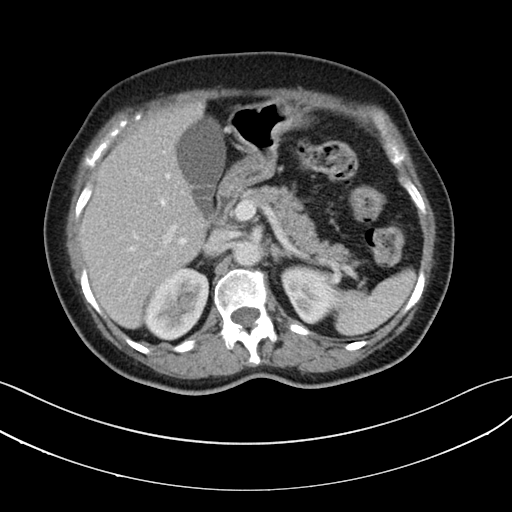
<scan>
<modality>
  <type>multiphase abdominal CT</type>
  <region>liver</region>
  <phase>portal venous</phase>
</modality>
<patient>
  <sex>female</sex>
  <age>64</age>
</patient>
<history>prior chemotherapy</history>
</scan>